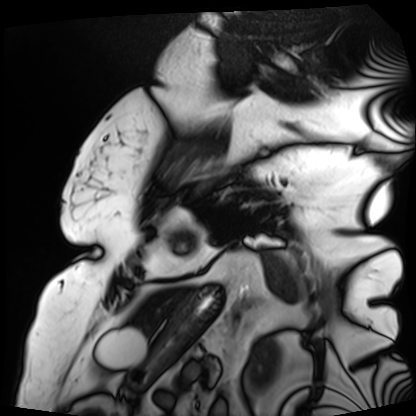
modality = cardiac MRI; subject group = patient.